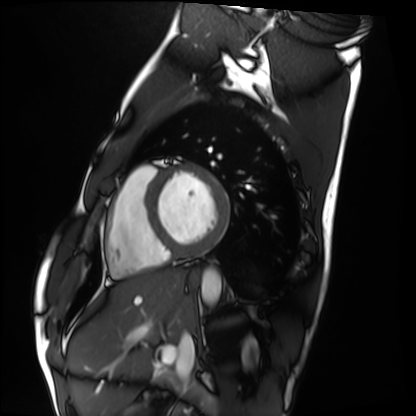
• modality: cardiac MRI
• subject group: healthy volunteer